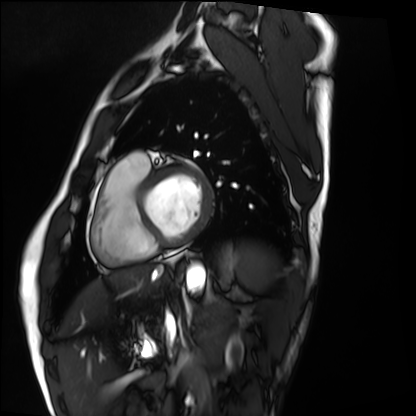
Cardiac MRI.
Subject group: healthy volunteer.